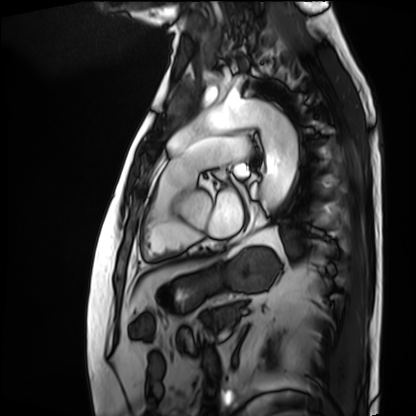
Summary:
Cardiac MRI. Subject group: patient.